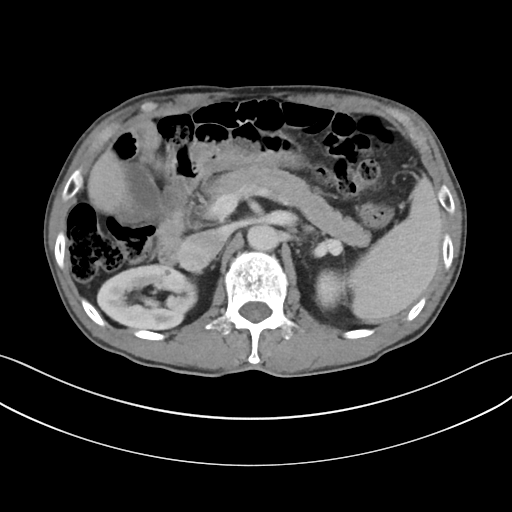
Q: What kind of scan is this?
A: Multiphase abdominal CT, liver, portal venous phase.
Q: Patient?
A: Male, age 62.
Q: History?
A: Cirrhosis, viral hepatitis, prior chemotherapy.